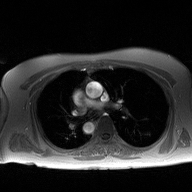
2D phase-contrast cine MRI of the ascending aorta, high-resolution GRAPPA acquisition.